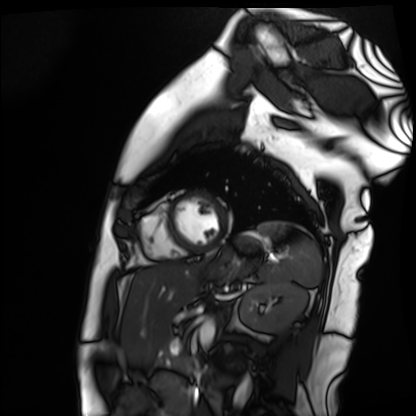
Cardiac MR image of the myocardium.
Subject cohort: healthy volunteer.